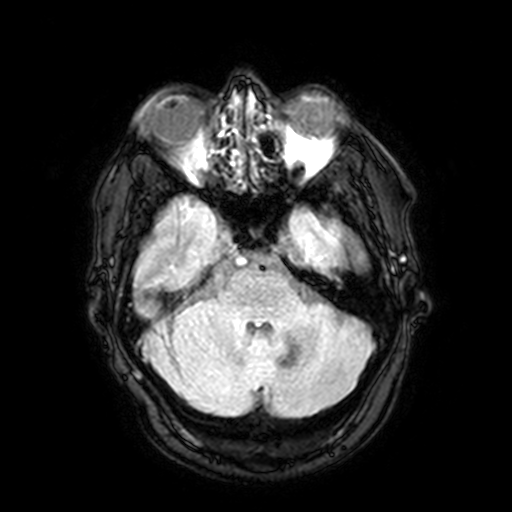
Clinical context:
3 Tesla brain MRI. Series: FLAIR with SPAIR, 3 mm. Study: ring-enhancing brain masses.